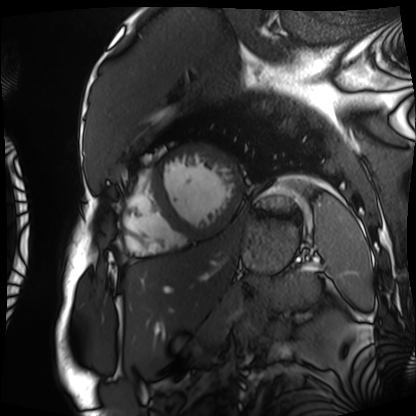
Cardiac MRI. Subject group: patient.